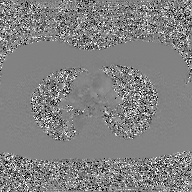
{"modality": {"type": "2D phase-contrast cine MRI", "region": "ascending aorta", "reconstruction": "GAN super-resolution reconstruction"}}